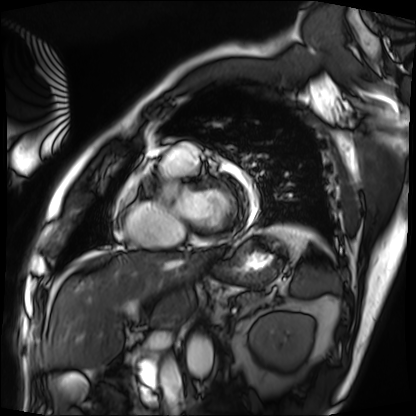
Cardiac MRI.
Subject group: patient.